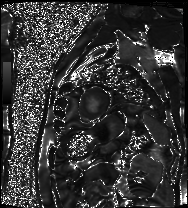
Clinical context:
Cardiac MRI. Subject group: patient.